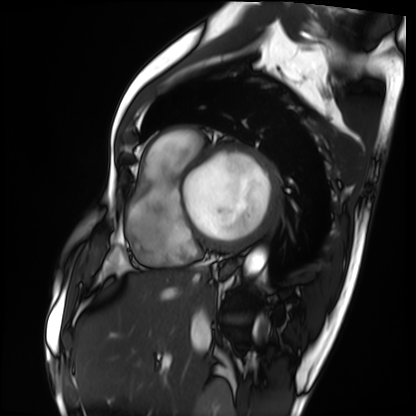
– modality: cardiac MRI
– subject group: patient